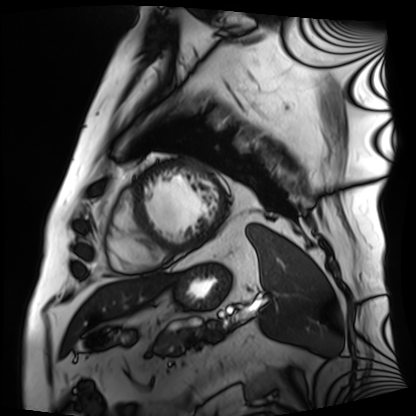
{"modality": "cardiac MRI", "cohort": "patient"}